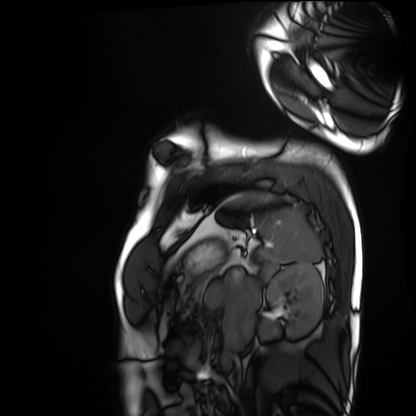
modality = cardiac MRI, subject group = healthy volunteer.